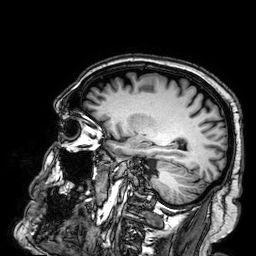
Q: What kind of scan is this?
A: 3 Tesla brain MRI.
Q: Series?
A: 3D T1-weighted.
Study: ring-enhancing brain masses.